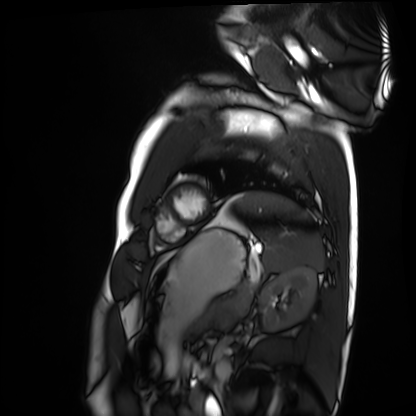
| field | value |
|---|---|
| modality | cardiac MRI |
| subject group | healthy volunteer |